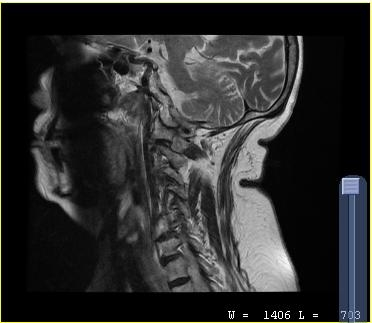
MRI of the cervical spine.
Study: cervical spondylosis.